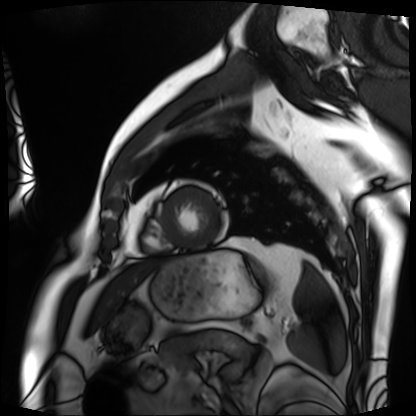
Summary:
Cardiac MRI. Subject group: patient.